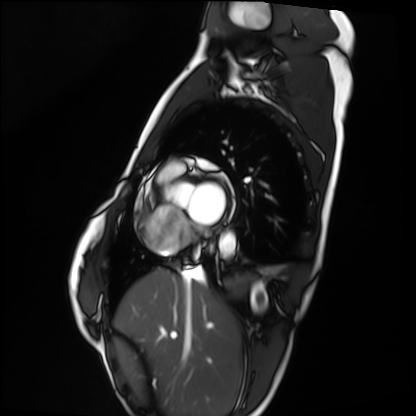
<scan>
<modality>cardiac MRI</modality>
<cohort>healthy volunteer</cohort>
</scan>